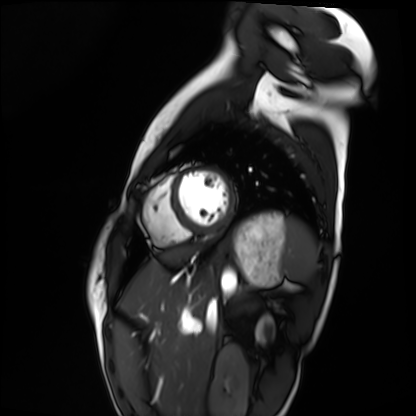
Summary:
Cardiac MRI. Subject group: healthy volunteer.